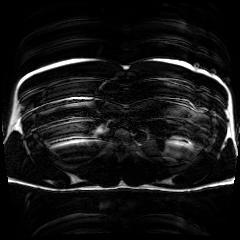
Case:
* modality — chemical-shift-encoded cardiac MRI